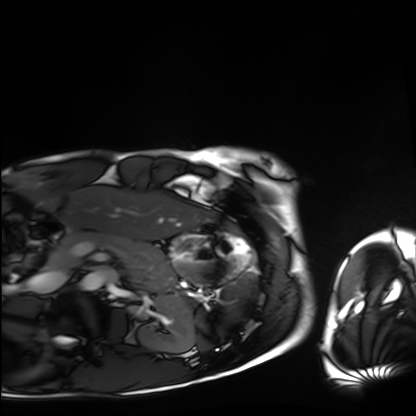
Summary:
Cardiac MRI. Subject group: healthy volunteer.